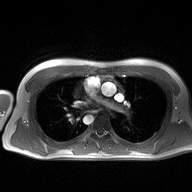
{"modality": {"type": "2D phase-contrast cine MRI", "region": "ascending aorta", "reconstruction": "high-resolution GRAPPA acquisition"}}